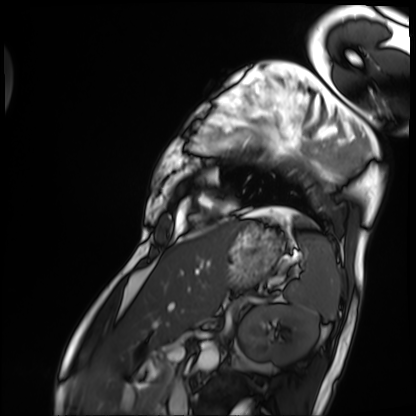
Cardiac MRI.
Subject group: patient.